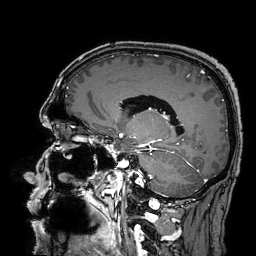
Case summary: 3 Tesla brain MRI. Series: 3D T1-weighted turbo field echo with SENSE. Study: ring-enhancing brain masses.